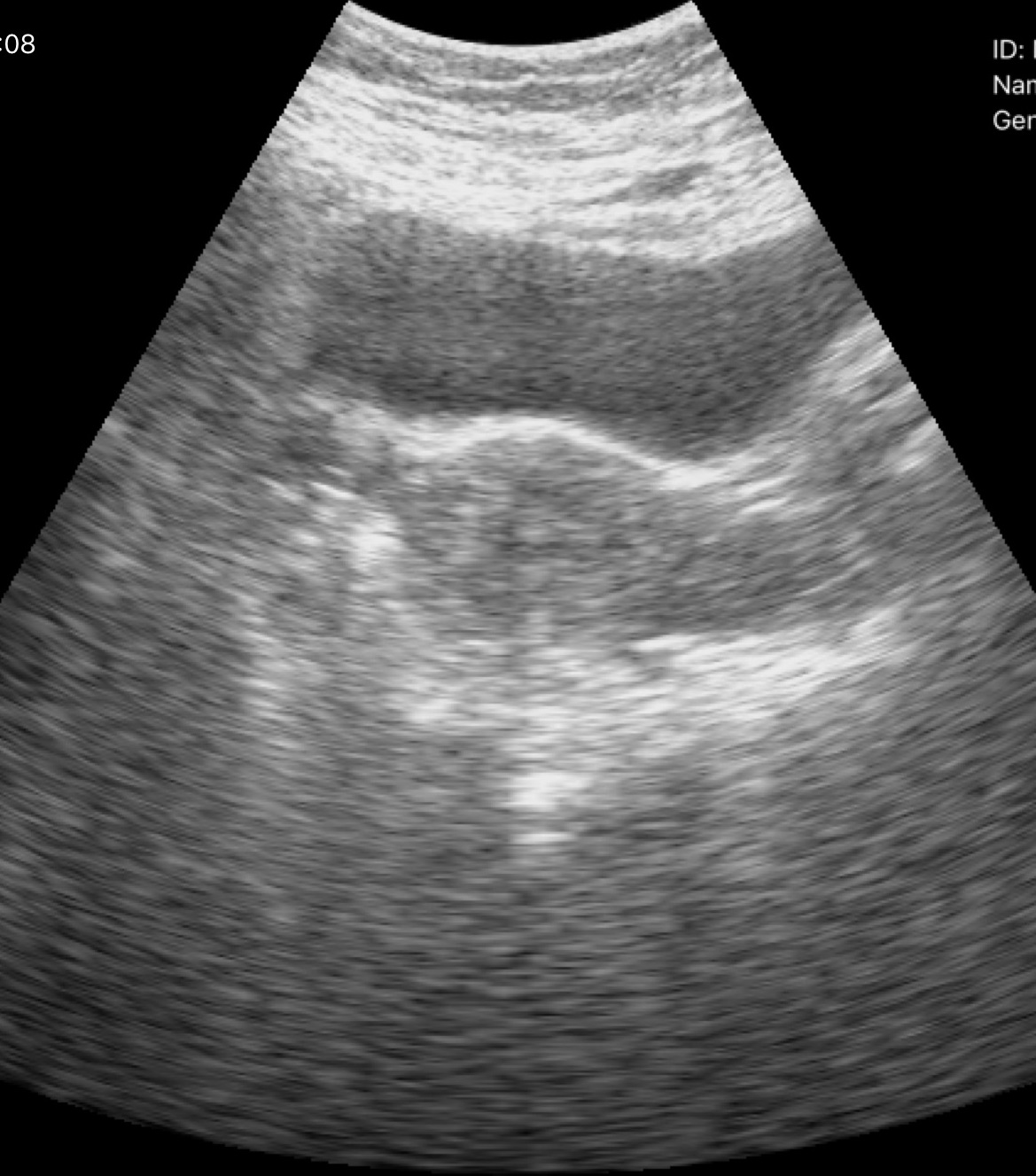
Genitourinary ultrasound.